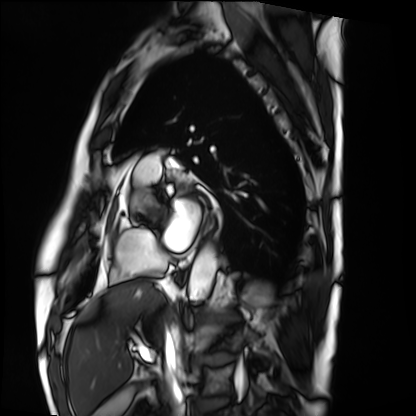
Clinical context: Cardiac MRI. Subject group: patient.